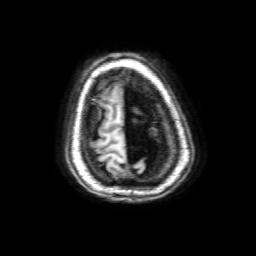
modality: 3 Tesla brain MRI
series: 3D T1-weighted with SENSE
study: ring-enhancing brain masses